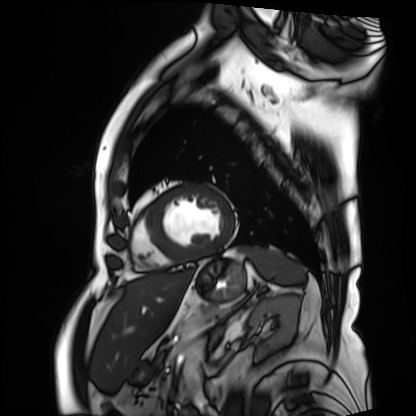
• modality: cardiac MRI
• subject group: patient